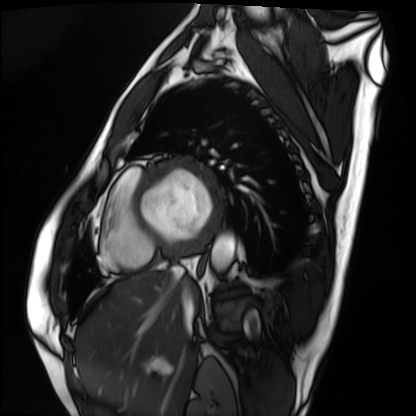
Case:
- modality: cardiac MRI
- subject group: patient